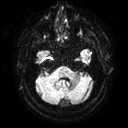
3 Tesla brain MRI. Series: diffusion tensor imaging (medium iso). Study: ring-enhancing brain masses.